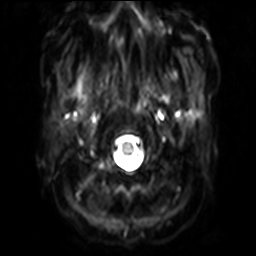
{"modality": {"type": "brain MRI", "field_strength": "3T"}, "series": "diffusion-weighted imaging with SENSE (WIP)", "study_topic": "ring-enhancing brain masses"}